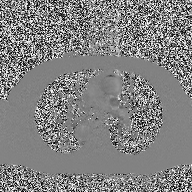
2D phase-contrast cine MRI of the ascending aorta, high-resolution GRAPPA acquisition.